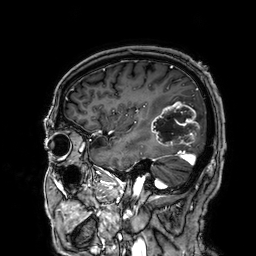
Case summary:
3 Tesla brain MRI. Series: 3D T1-weighted. Study: ring-enhancing brain masses.